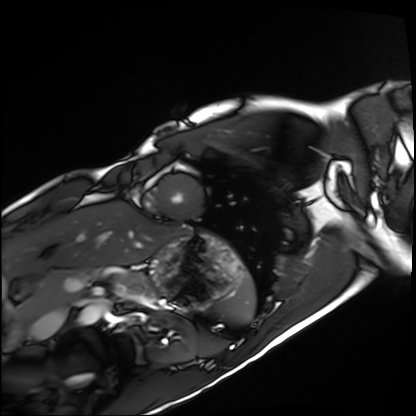
Cardiac MRI.
Subject group: healthy volunteer.